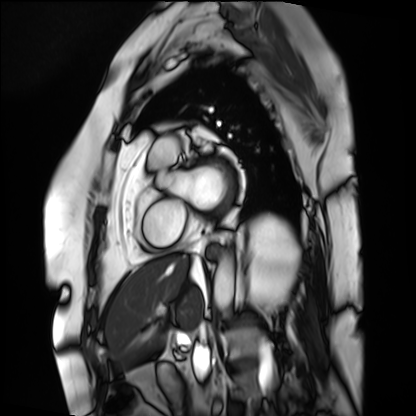
Cardiac MRI. Subject group: patient.